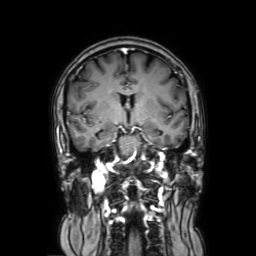
3 Tesla brain MRI.
Series: coronal with contrast.
Study: ring-enhancing brain masses.